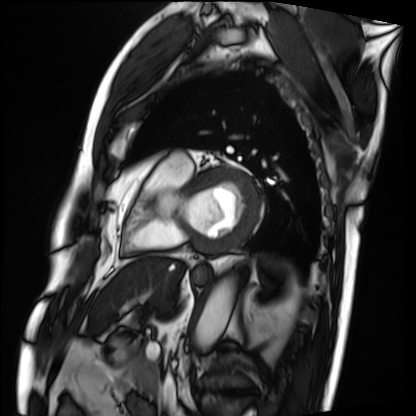
Cardiac MRI. Subject group: patient.